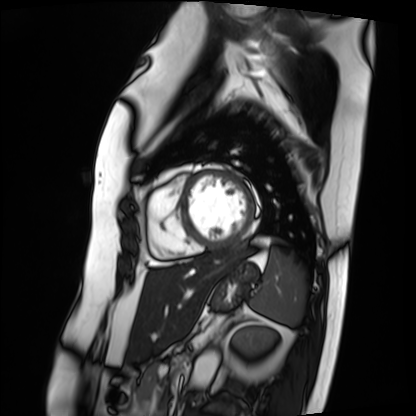
Cardiac MRI. Subject group: patient.